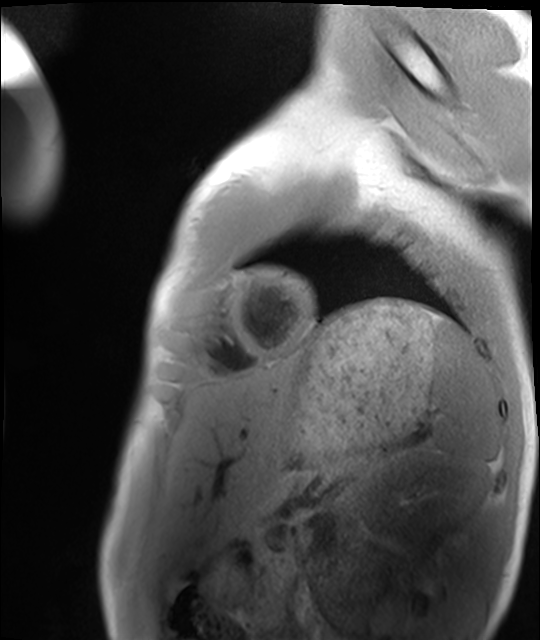
Summary:
Cardiac MRI. Subject group: healthy volunteer.